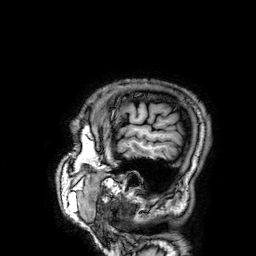
modality — 3 Tesla brain MRI; study — ring-enhancing brain masses.